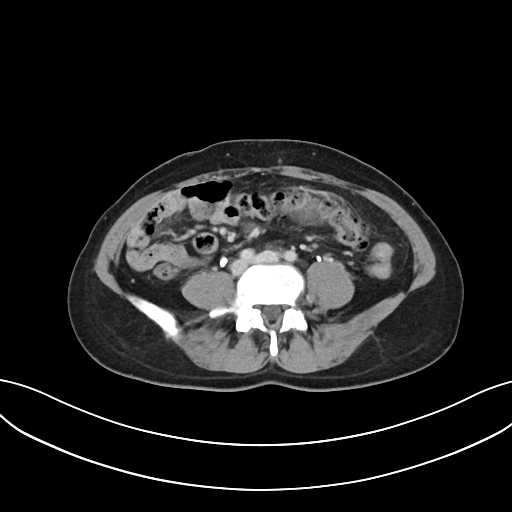
modality = multiphase abdominal CT, liver, delayed phase.